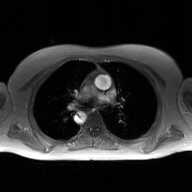
Clinical context:
2D phase-contrast cine MRI of the ascending aorta, GAN super-resolution reconstruction.